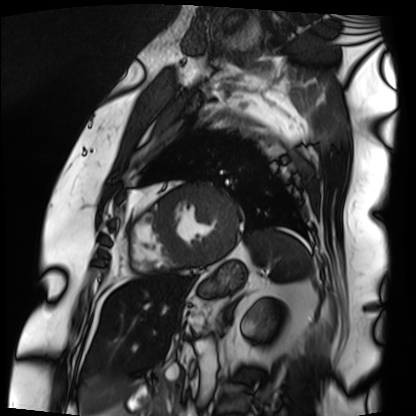
Summary:
Cardiac MRI. Subject group: patient.